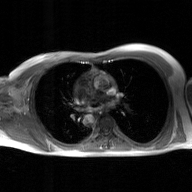
Case:
* modality · 2D phase-contrast cine MRI of the ascending aorta, GAN super-resolution reconstruction